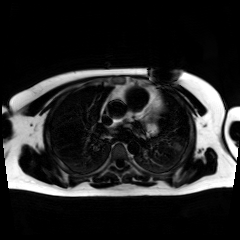
Chemical-shift-encoded cardiac MRI.